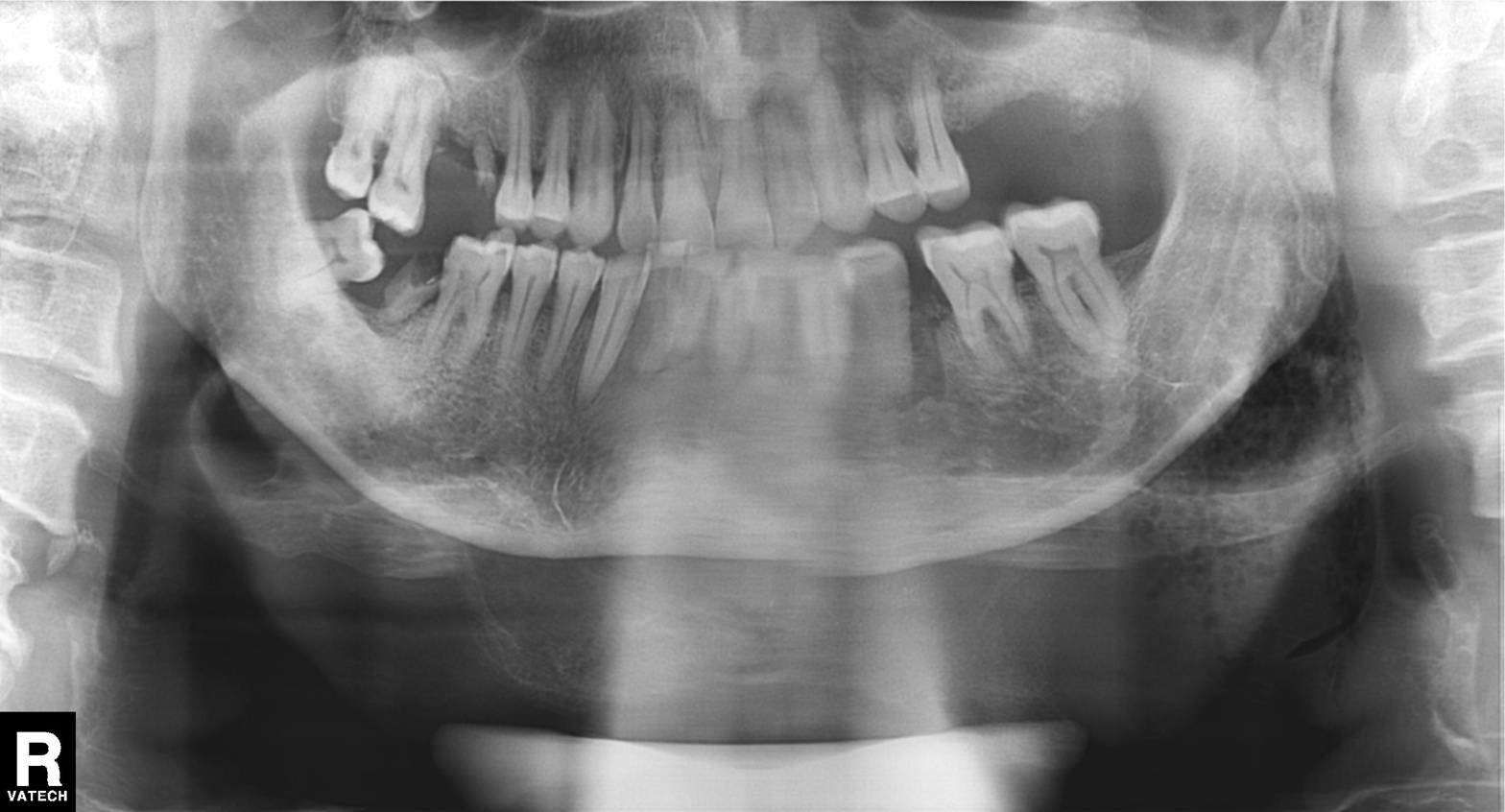
Panoramic dental radiograph (orthopantomogram). Finding: alveolar bone loss.